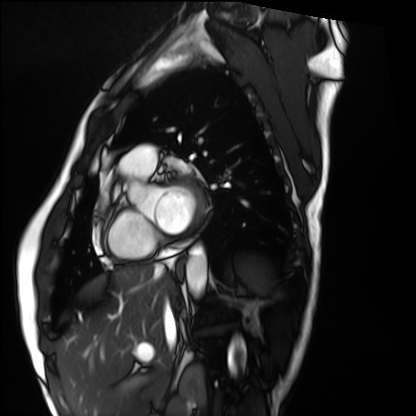
Cardiac MRI. Subject group: healthy volunteer.